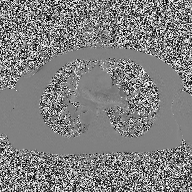
Summary:
2D phase-contrast cine MRI of the ascending aorta, high-resolution GRAPPA acquisition.